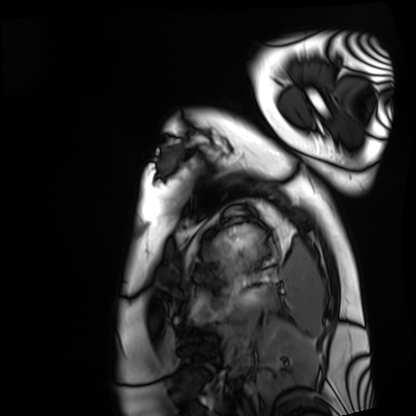
modality: cardiac MRI
cohort: healthy volunteer